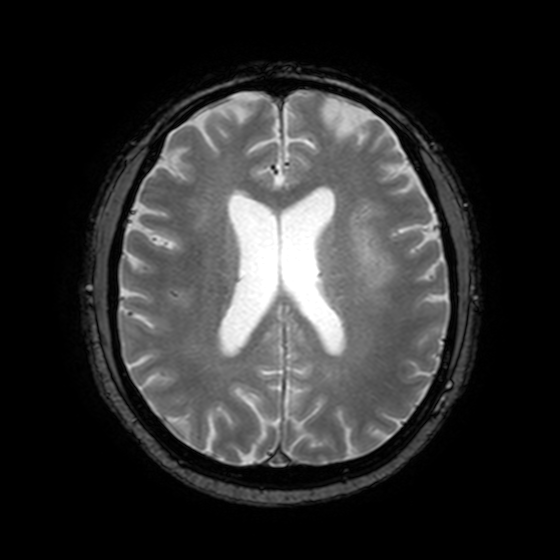
{"modality": {"type": "brain MRI", "field_strength": "3T"}, "series": "T2-weighted fast field echo with SENSE", "study_topic": "ring-enhancing brain masses"}